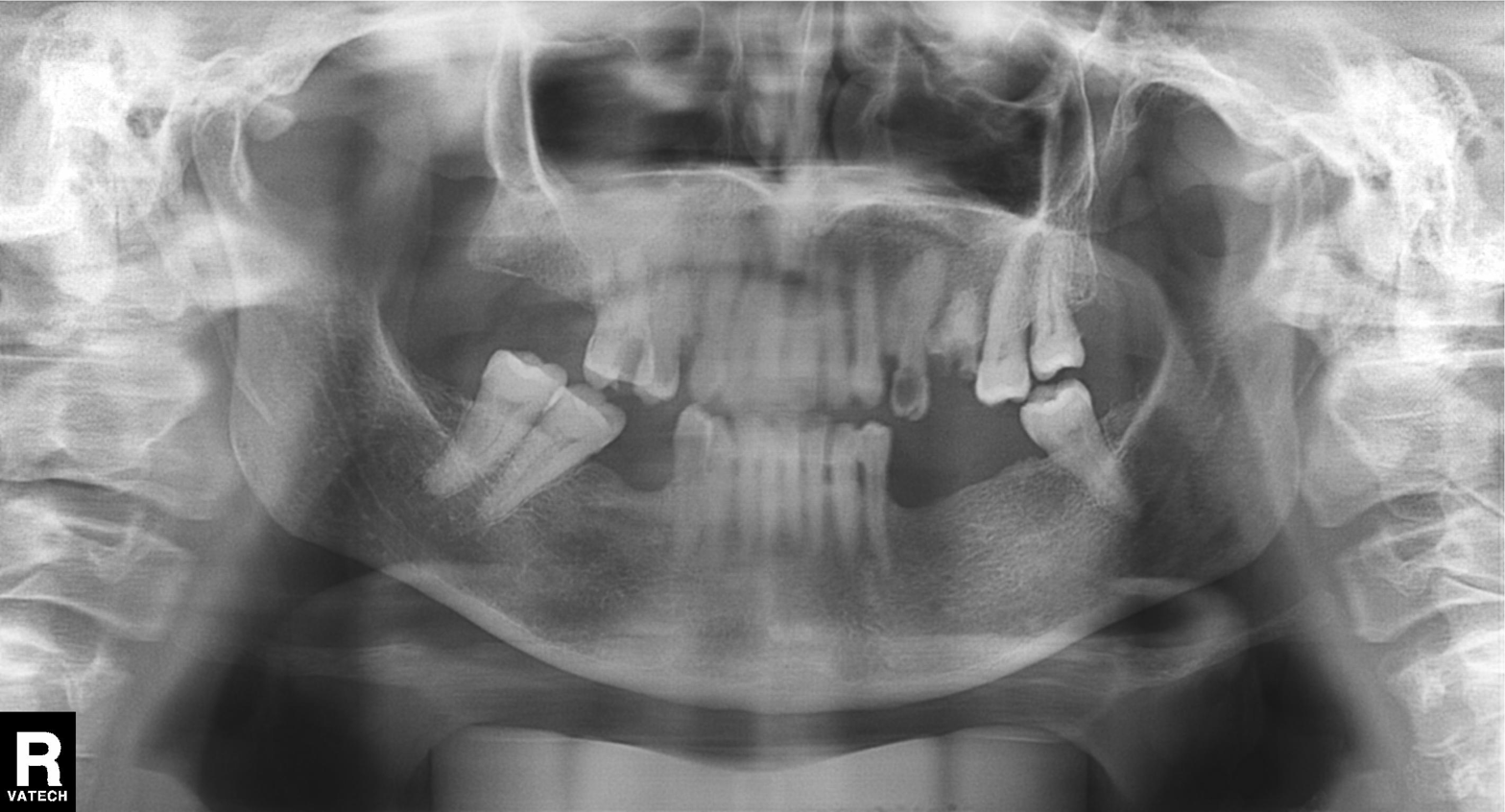
Panoramic dental radiograph (orthopantomogram). Finding: tooth impaction.